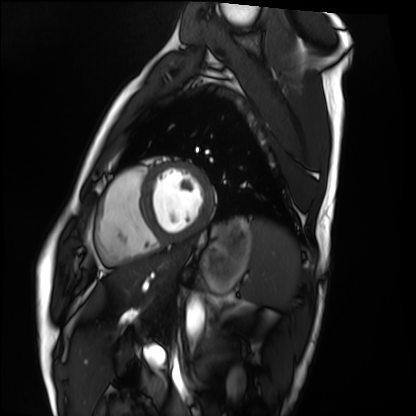
{"modality": "cardiac MRI", "cohort": "healthy volunteer"}